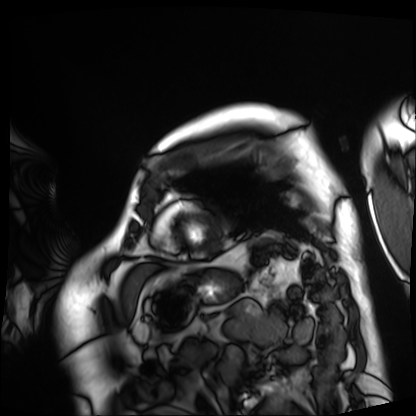
Cardiac MRI.
Subject group: patient.